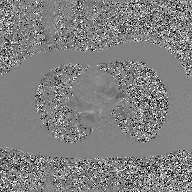
Q: What kind of scan is this?
A: 2D phase-contrast cine MRI of the ascending aorta, GAN super-resolution reconstruction.